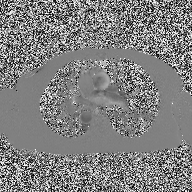
2D phase-contrast cine MRI of the ascending aorta, high-resolution GRAPPA acquisition.